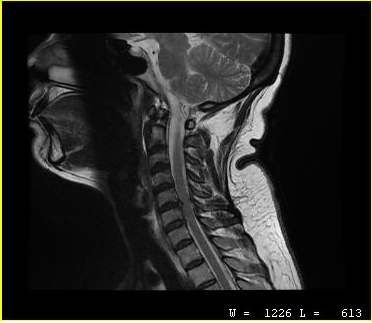
Case:
• modality · MRI of the cervical spine
• study · cervical spondylosis